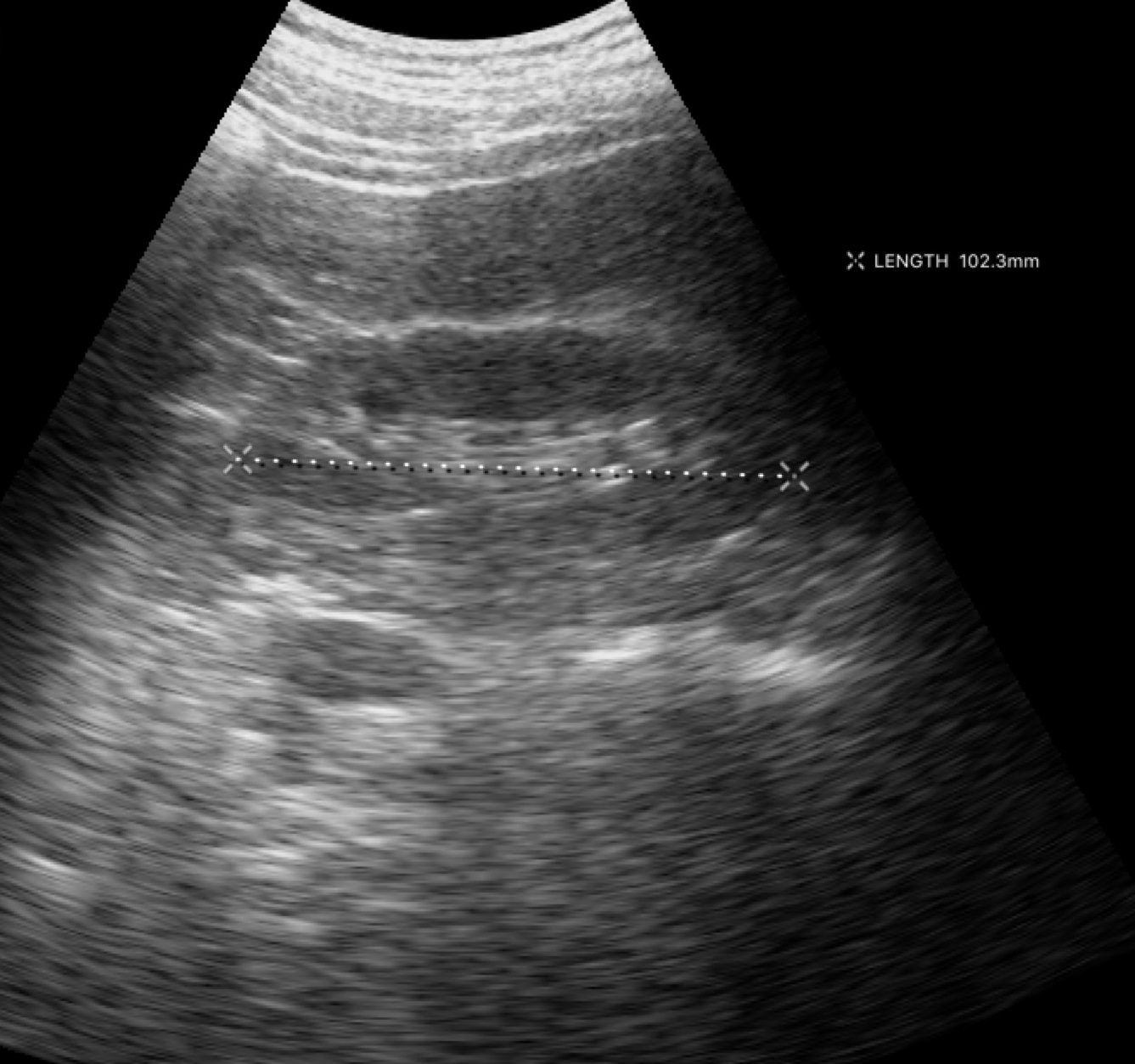
* modality — genitourinary ultrasound